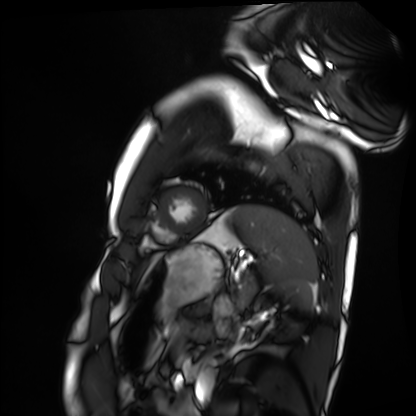
Q: What kind of scan is this?
A: Cardiac MRI.
Subject group: healthy volunteer.